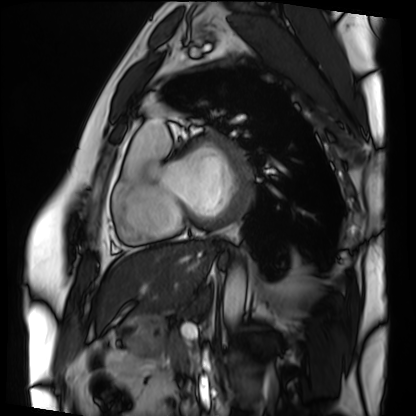
| field | value |
|---|---|
| modality | cardiac MRI |
| subject group | patient |